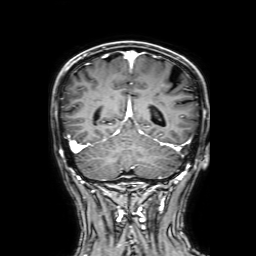
Clinical context: 3 Tesla brain MRI. Series: 3D T1-weighted with SENSE. Study: ring-enhancing brain masses.